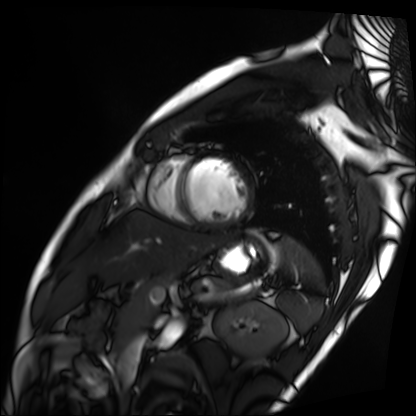
Summary:
Cardiac MRI. Subject group: patient.